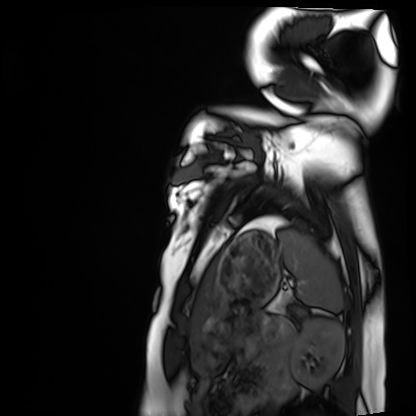
Cardiac MRI. Subject group: healthy volunteer.